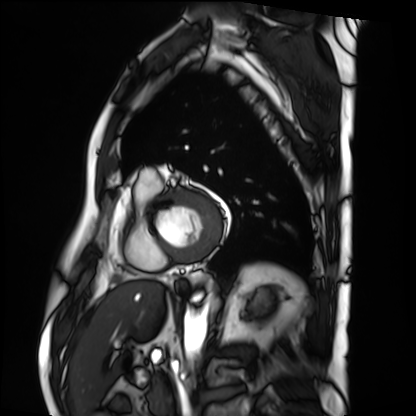
Summary:
Cardiac MRI. Subject group: patient.